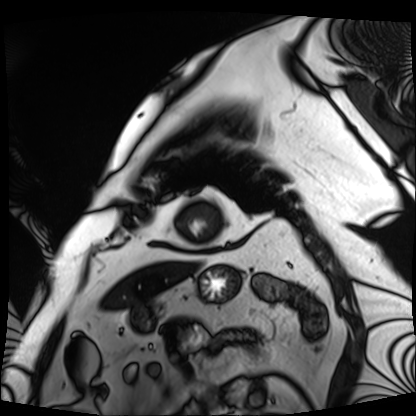
<scan>
  <modality>cardiac MRI</modality>
  <cohort>patient</cohort>
</scan>